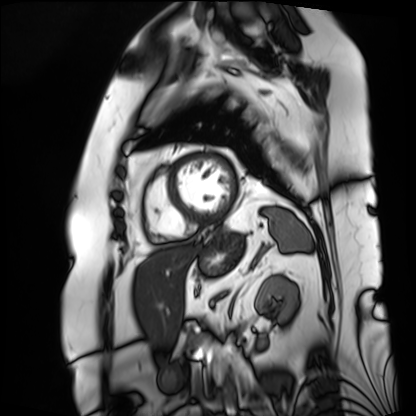
modality = cardiac MRI; subject group = patient.